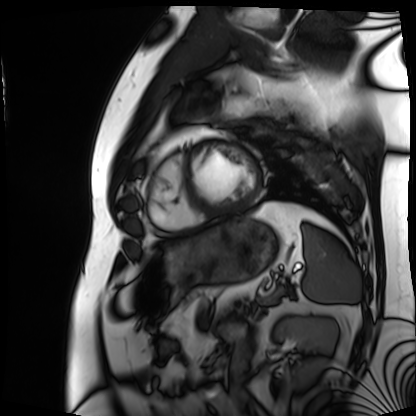
modality: cardiac MRI
cohort: patient